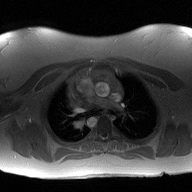
2D phase-contrast cine MRI of the ascending aorta, high-resolution GRAPPA acquisition.